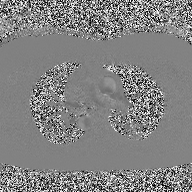
Summary: 2D phase-contrast cine MRI of the ascending aorta, high-resolution GRAPPA acquisition.